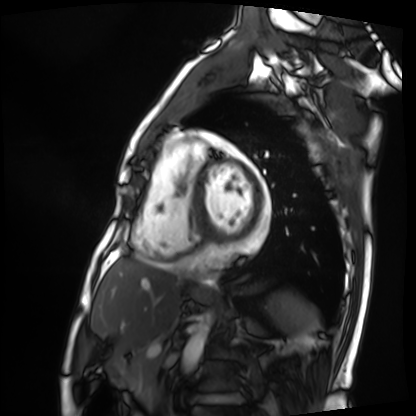
Case summary: Cardiac MRI. Subject group: patient.